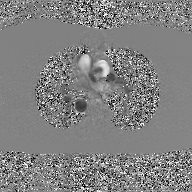
modality: 2D phase-contrast cine MRI of the ascending aorta, GAN super-resolution reconstruction